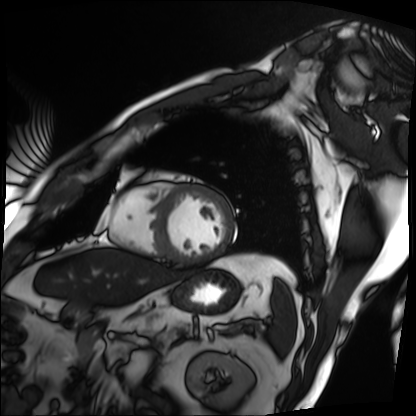
Cardiac MRI.
Subject group: patient.